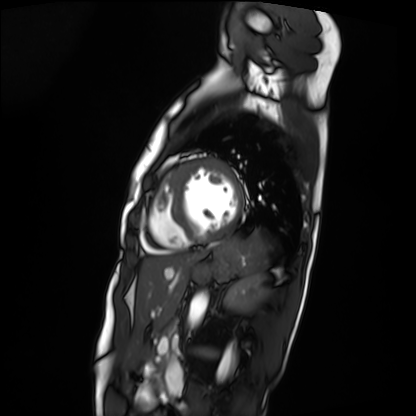
Cardiac MRI. Subject group: patient.